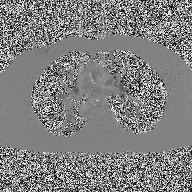
modality: 2D phase-contrast cine MRI of the ascending aorta